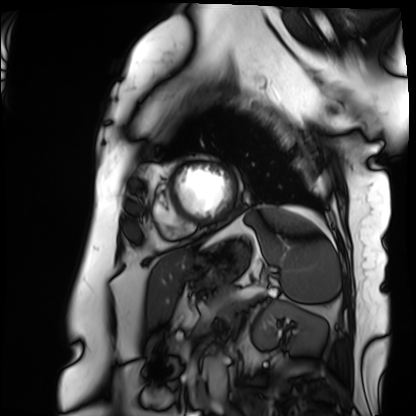
Cardiac MRI. Subject group: patient.